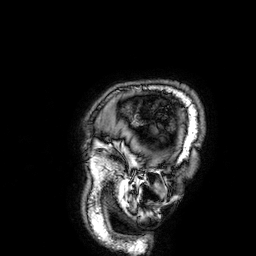
  modality:
    type: brain MRI
    field_strength: 3T
  series: 3D T1-weighted
  study_topic: ring-enhancing brain masses